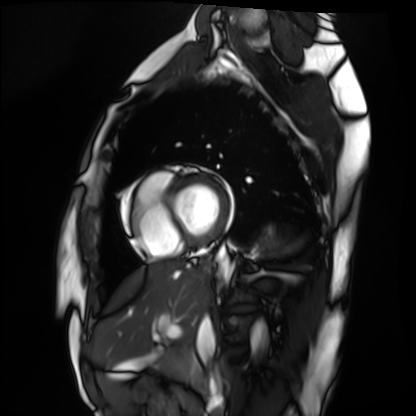
Q: What kind of scan is this?
A: Cardiac MRI.
Subject group: healthy volunteer.